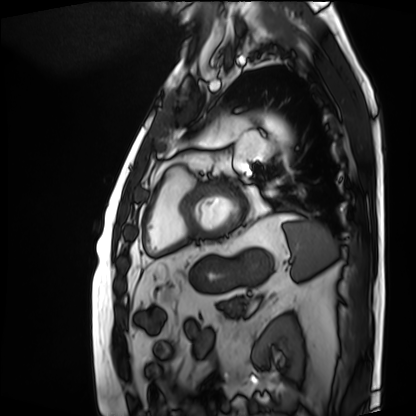
Summary: Cardiac MRI. Subject group: patient.